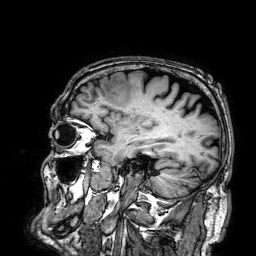
Summary: 3 Tesla brain MRI. Series: 3D T1-weighted. Study: ring-enhancing brain masses.